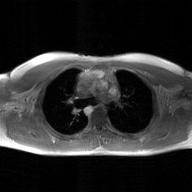
modality:
  type: 2D phase-contrast cine MRI
  region: ascending aorta
  reconstruction: GAN super-resolution reconstruction